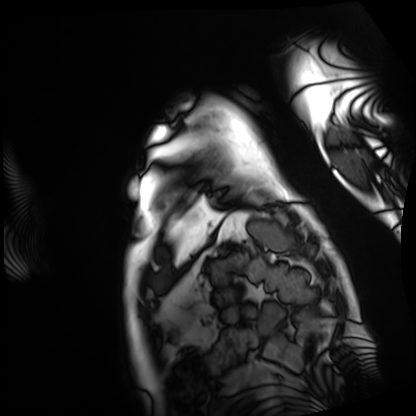
Q: What kind of scan is this?
A: Cardiac MRI.
Subject group: patient.